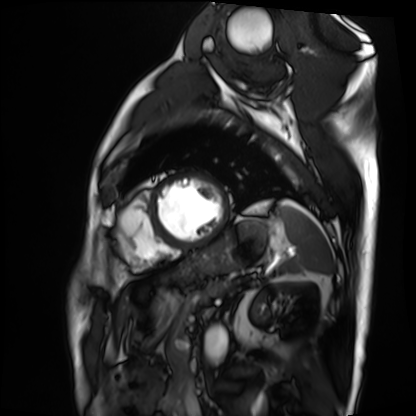
Cardiac MRI. Subject group: patient.